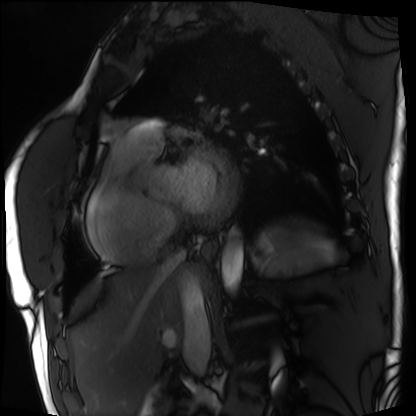
Cardiac MRI.
Subject group: patient.